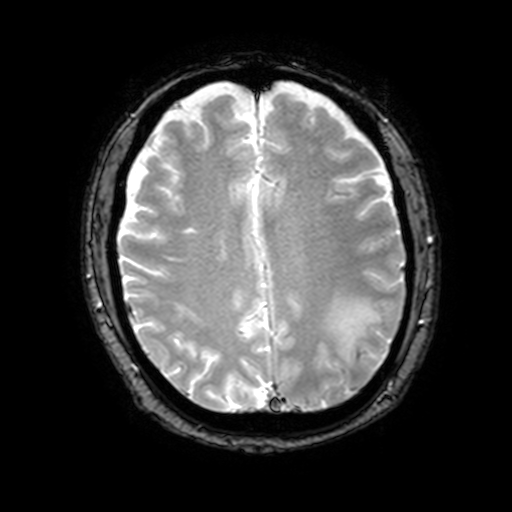
- modality · 3 Tesla brain MRI
- series · T2-weighted fast field echo with SENSE
- study · ring-enhancing brain masses